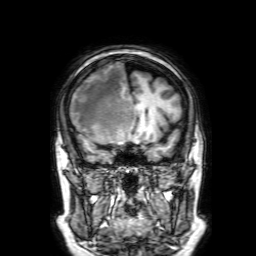
3 Tesla brain MRI.
Series: 3D T1-weighted with SENSE.
Study: ring-enhancing brain masses.